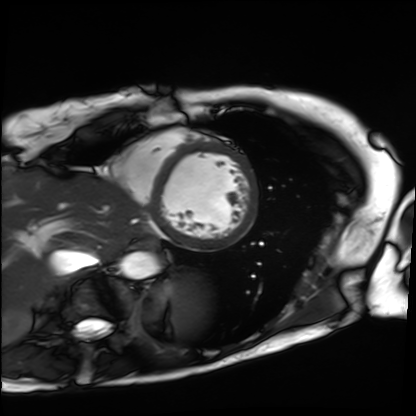
Clinical context:
Cardiac MRI. Subject group: patient.